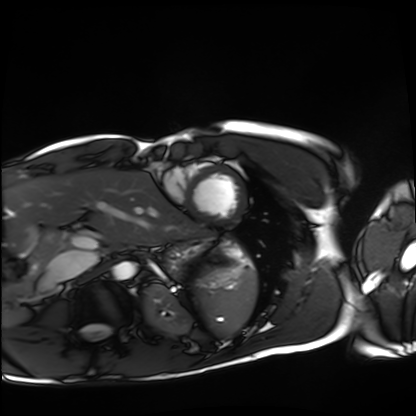
– modality: cardiac MRI
– subject group: healthy volunteer